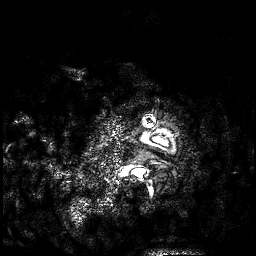
Q: What kind of scan is this?
A: 3 Tesla brain MRI.
Q: Series?
A: 3D T1-weighted.
Study: ring-enhancing brain masses.